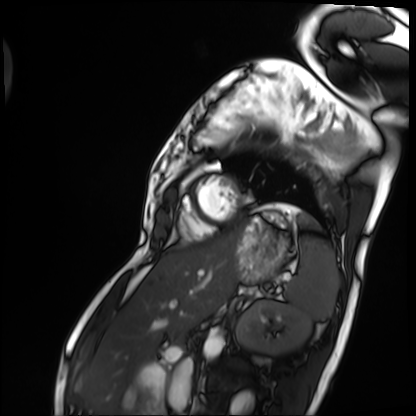
Cardiac MRI. Subject group: patient.